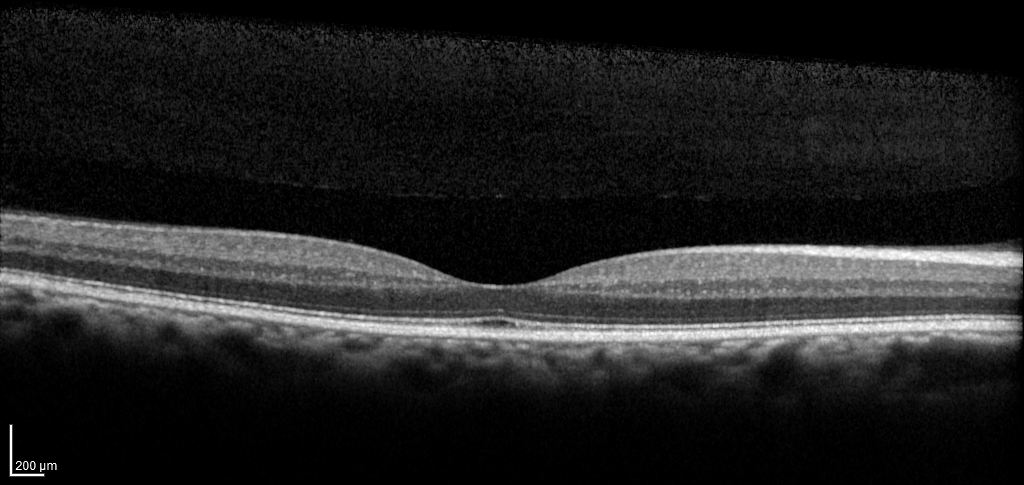
Spectral-domain optical coherence tomography (SD-OCT) of the macula.
Subject: male, age 60, right eye.
Cohort: diabetic subject.
ETDRS-grid retinal thickness (μm): central 265, inner temporal 336, inner nasal 350, inner superior 354, inner inferior 340, outer temporal 295, outer nasal 313, outer superior 308, outer inferior 307.